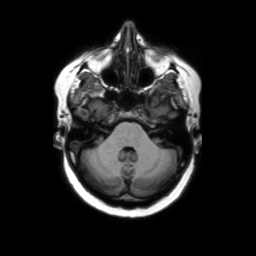
Q: What kind of scan is this?
A: 3 Tesla brain MRI.
Q: Series?
A: Axial without contrast.
Study: ring-enhancing brain masses.